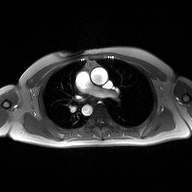
Case:
- modality — 2D phase-contrast cine MRI of the ascending aorta